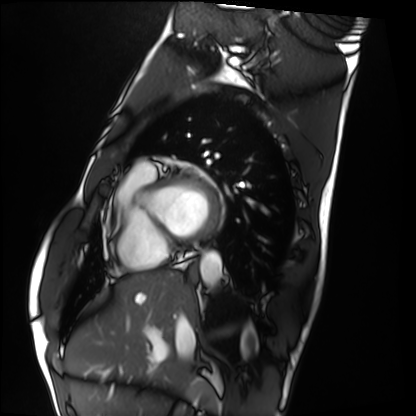
- modality · cardiac MRI
- subject group · healthy volunteer